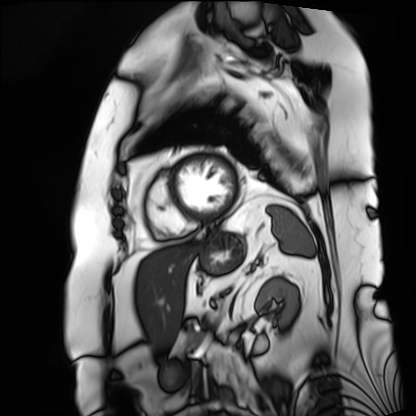
Cardiac MRI. Subject group: patient.